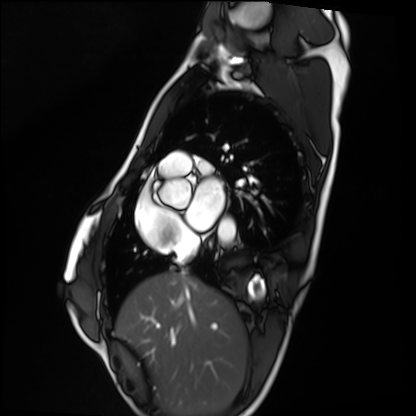
<record>
  <modality>cardiac MRI</modality>
  <cohort>healthy volunteer</cohort>
</record>